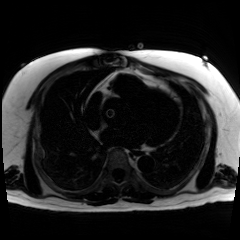
Summary:
Chemical-shift-encoded cardiac MRI.